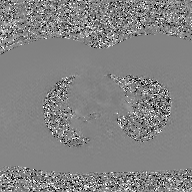
– modality — 2D phase-contrast cine MRI of the ascending aorta, GAN super-resolution reconstruction